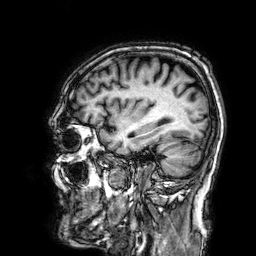
3 Tesla brain MRI. Series: 3D T1-weighted. Study: ring-enhancing brain masses.